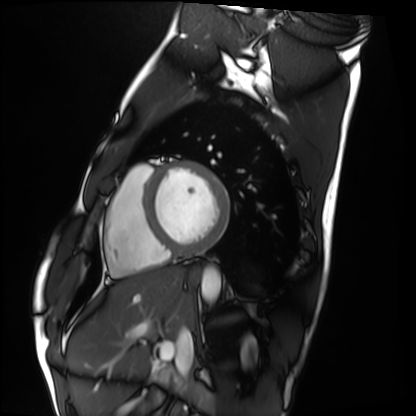
Cardiac MRI. Subject group: healthy volunteer.